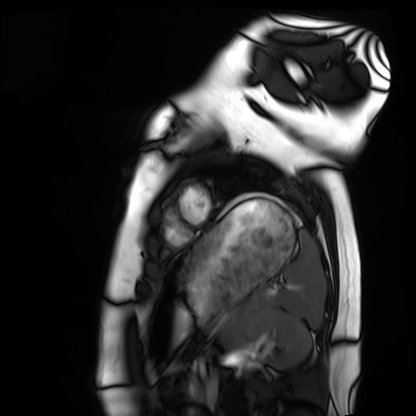
Q: What kind of scan is this?
A: Cardiac MRI.
Subject group: healthy volunteer.